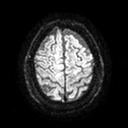
3 Tesla brain MRI. Series: diffusion tensor imaging (medium iso). Study: ring-enhancing brain masses.